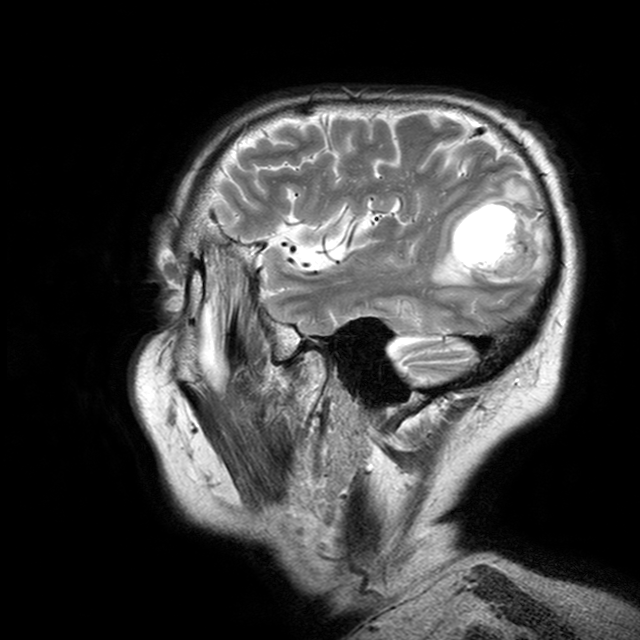
3 Tesla brain MRI.
Series: T2-weighted turbo spin echo with CLEAR.
Study: ring-enhancing brain masses.